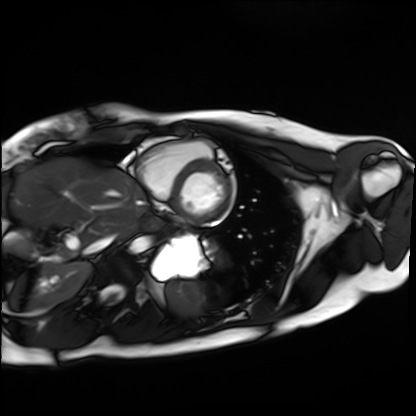
Cardiac MRI. Subject group: healthy volunteer.